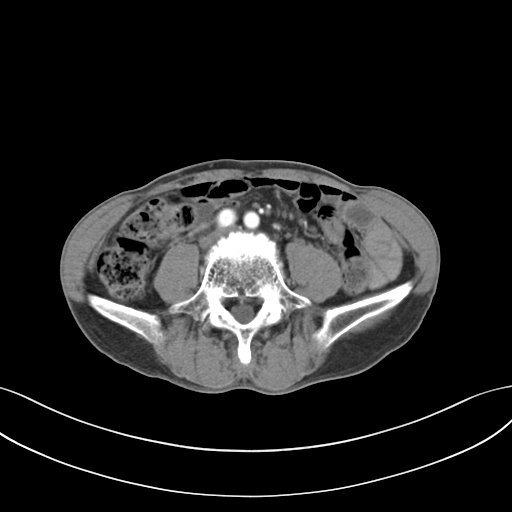
Summary: Multiphase abdominal CT, liver, arterial phase. Patient: male, age 65.